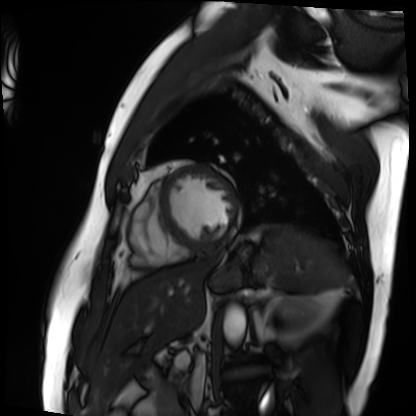
Case:
• modality · cardiac MRI
• subject group · patient